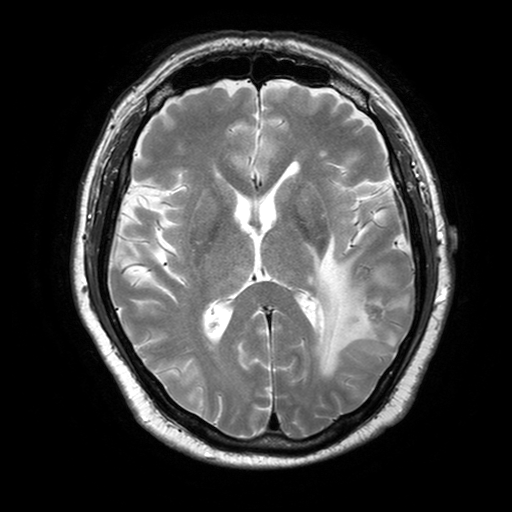
modality:
  type: brain MRI
  field_strength: 3T
series: T2-weighted turbo spin echo with SENSE
study_topic: ring-enhancing brain masses